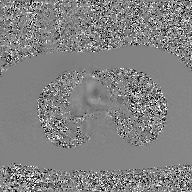
2D phase-contrast cine MRI of the ascending aorta, GAN super-resolution reconstruction.